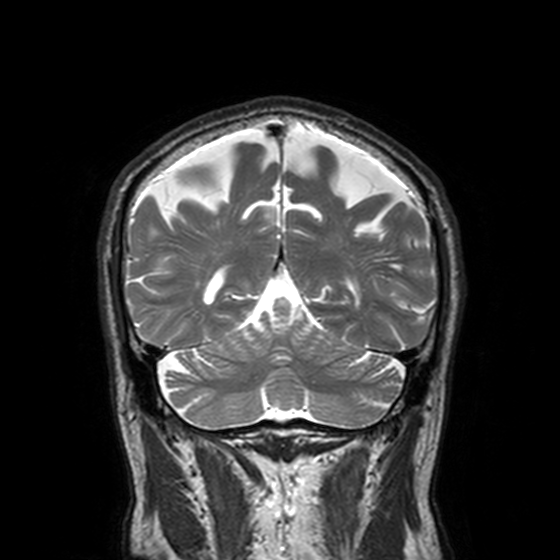
3 Tesla brain MRI. Series: T2-weighted turbo spin echo, 3 mm. Study: ring-enhancing brain masses.